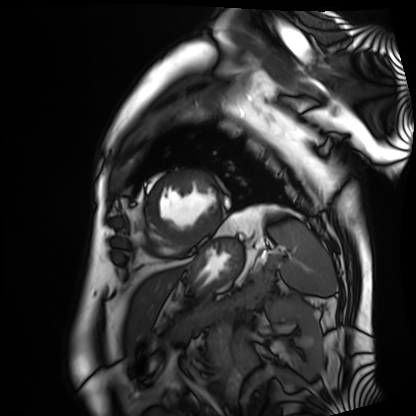
modality: cardiac MRI
subject group: patient